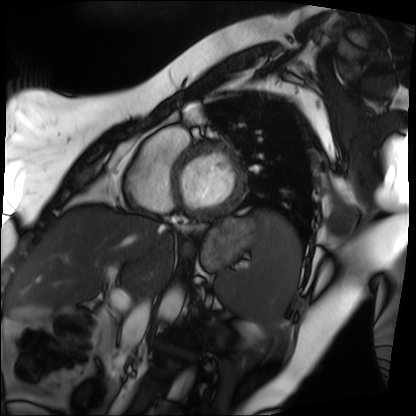
Cardiac MRI. Subject group: patient.